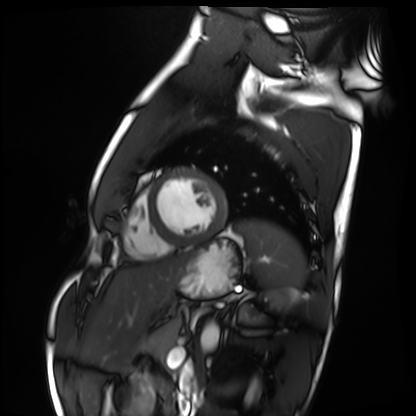
modality — cardiac MRI
subject group — healthy volunteer